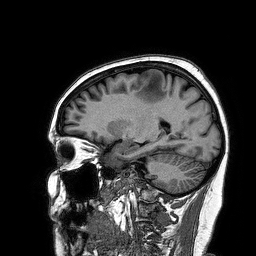
3 Tesla brain MRI. Series: 3D T1-weighted turbo field echo. Study: ring-enhancing brain masses.